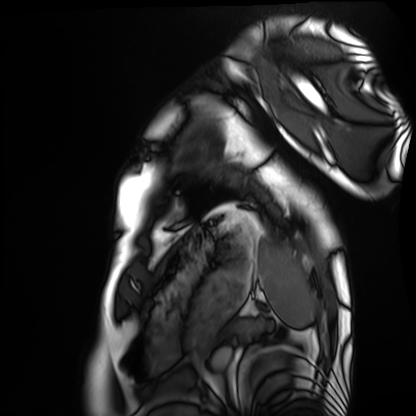
Cardiac MRI. Subject group: healthy volunteer.